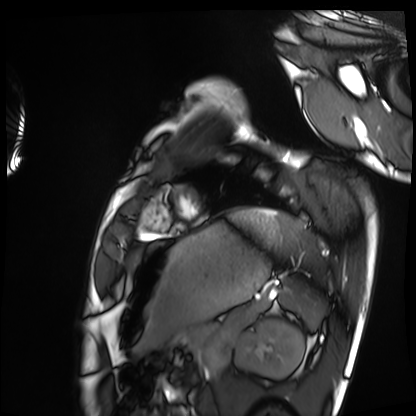
modality: cardiac MRI; subject group: healthy volunteer.